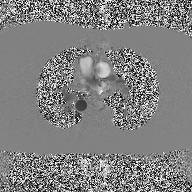
- modality — 2D phase-contrast cine MRI of the ascending aorta